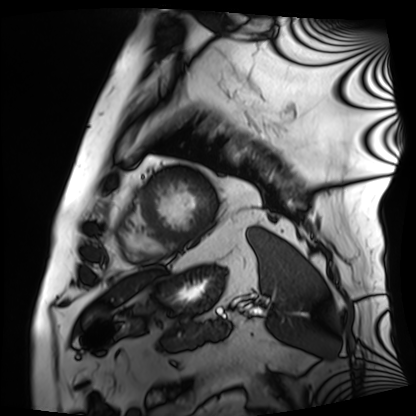
Summary:
Cardiac MRI. Subject group: patient.